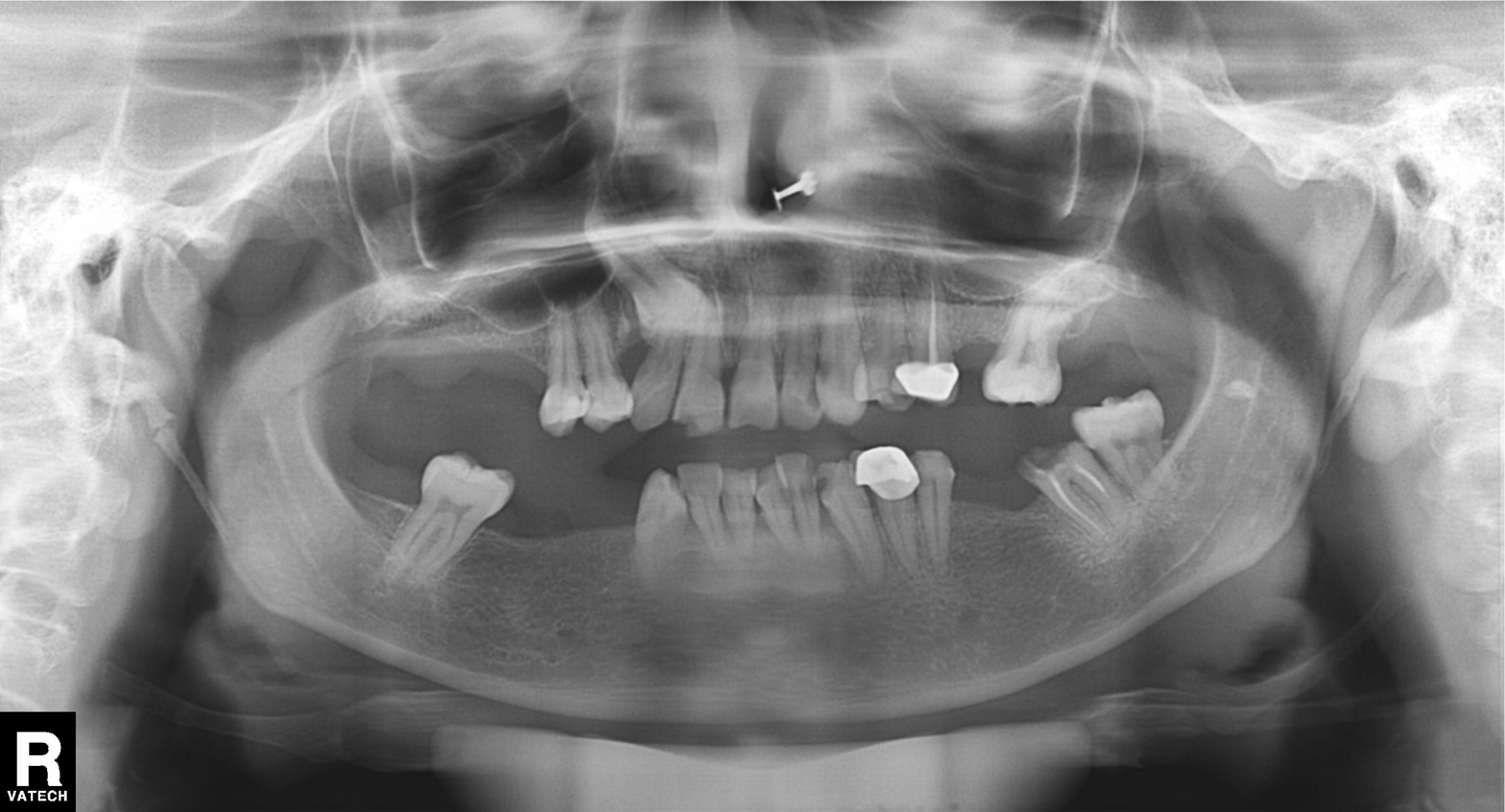
Q: What kind of scan is this?
A: Panoramic dental radiograph (orthopantomogram).
Q: What is the radiographic finding?
A: Dental caries (cavities).